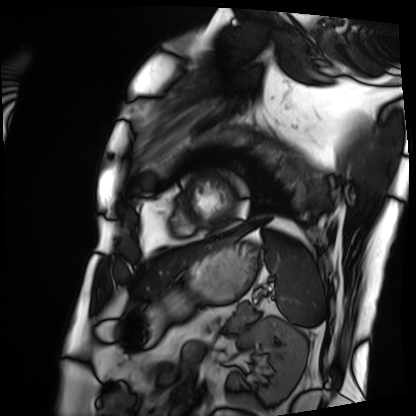
<scan>
<modality>cardiac MRI</modality>
<cohort>patient</cohort>
</scan>